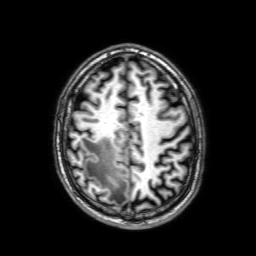
3 Tesla brain MRI.
Series: 3D T1-weighted with SENSE.
Study: ring-enhancing brain masses.